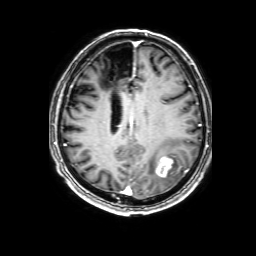
modality: 3 Tesla brain MRI; series: 3D T1-weighted with SENSE; study: ring-enhancing brain masses.